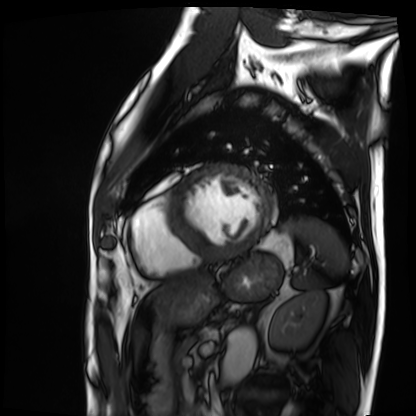
Cardiac MRI. Subject group: patient.